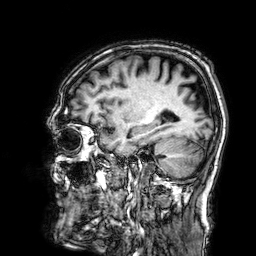
<record>
<modality>
  <type>brain MRI</type>
  <field_strength>3T</field_strength>
</modality>
<series>3D T1-weighted</series>
<study_topic>ring-enhancing brain masses</study_topic>
</record>